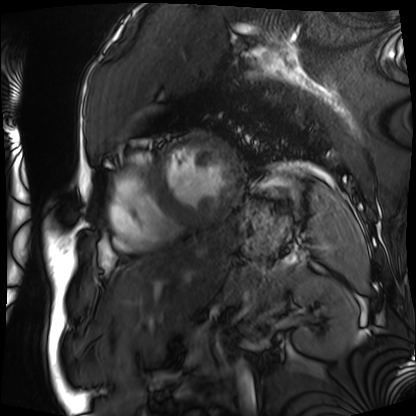
| field | value |
|---|---|
| modality | cardiac MRI |
| subject group | patient |